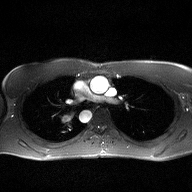
2D phase-contrast cine MRI of the ascending aorta, high-resolution GRAPPA acquisition.